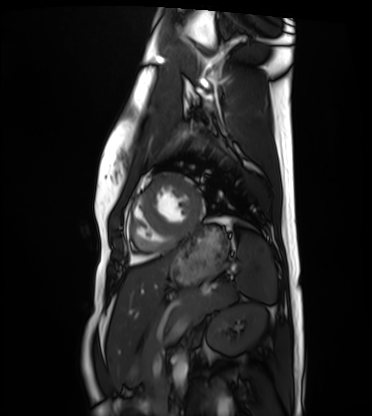
Case:
- modality · cardiac MRI
- subject group · healthy volunteer